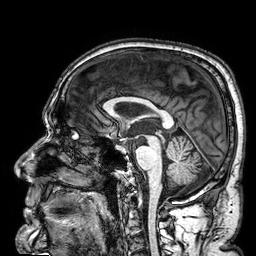
3 Tesla brain MRI. Study: ring-enhancing brain masses.